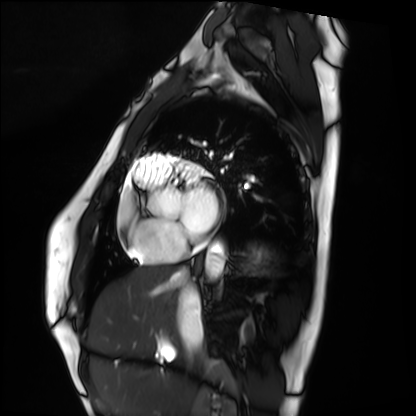
Cardiac MRI. Subject group: healthy volunteer.